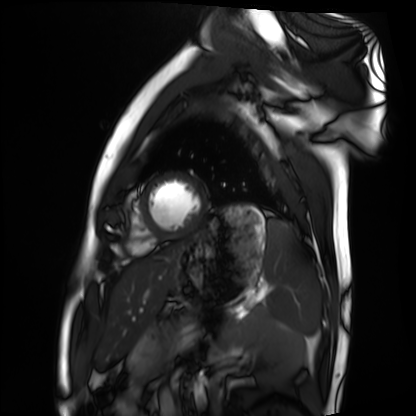
Summary:
Cardiac MRI. Subject group: healthy volunteer.